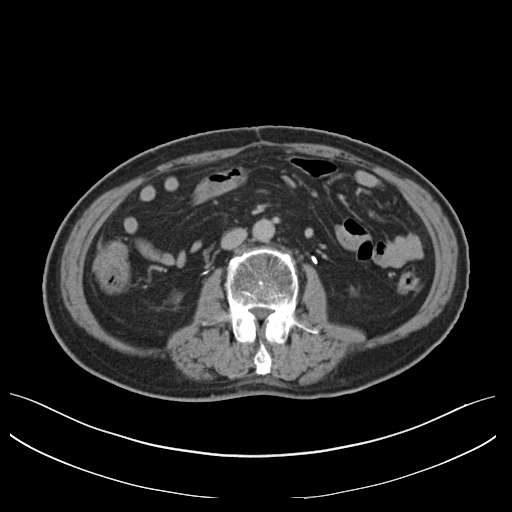
modality = multiphase abdominal CT, liver, delayed phase | patient = male, age 71.